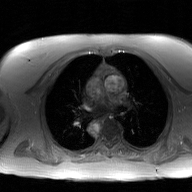
2D phase-contrast cine MRI of the ascending aorta, GAN super-resolution reconstruction.